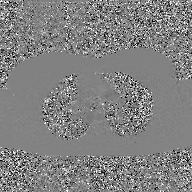
Summary: 2D phase-contrast cine MRI of the ascending aorta, GAN super-resolution reconstruction.